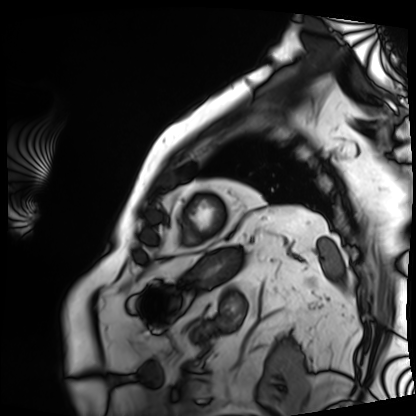
Cardiac MRI.
Subject group: patient.